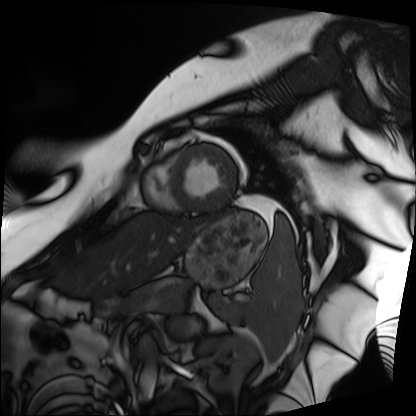
modality = cardiac MRI; subject group = patient.